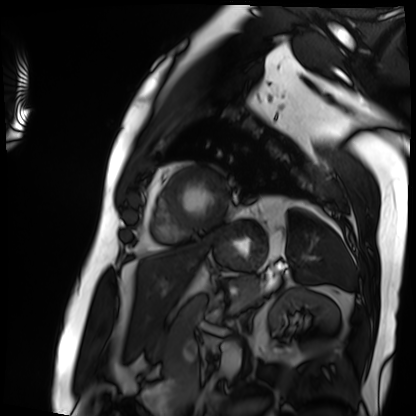
Cardiac MRI. Subject group: patient.